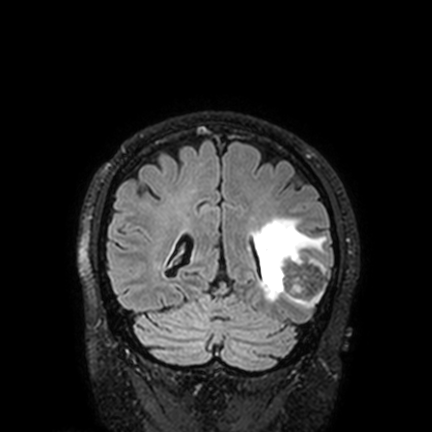
– modality · 3 Tesla brain MRI
– series · FLAIR VISTA with SENSE
– study · ring-enhancing brain masses